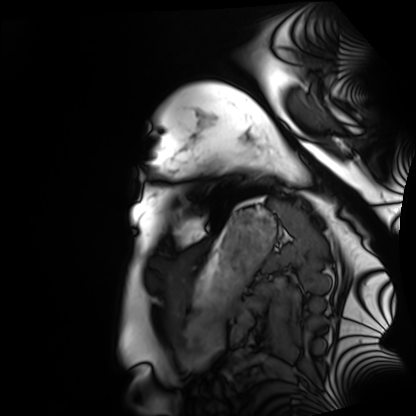
Clinical context: Cardiac MRI. Subject group: healthy volunteer.